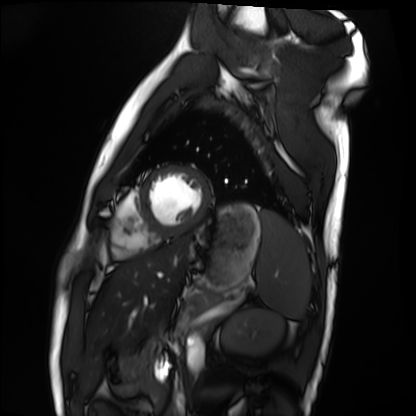
Summary:
Cardiac MRI. Subject group: healthy volunteer.